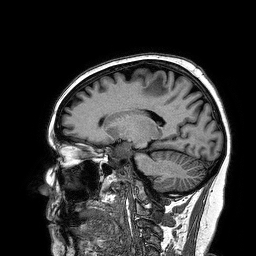
{"modality": {"type": "brain MRI", "field_strength": "3T"}, "series": "3D T1-weighted turbo field echo", "study_topic": "ring-enhancing brain masses"}